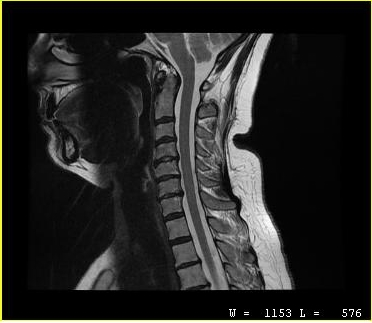
– modality · MRI of the cervical spine
– study · cervical spondylosis